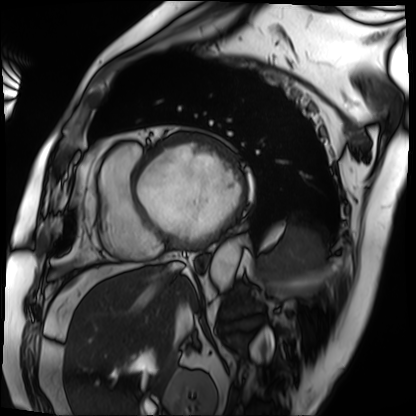
| field | value |
|---|---|
| modality | cardiac MRI |
| subject group | patient |